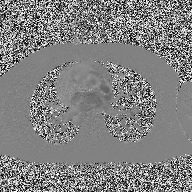
Summary:
2D phase-contrast cine MRI of the ascending aorta, high-resolution GRAPPA acquisition.